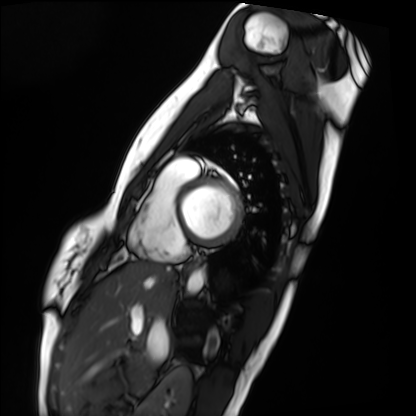
modality: cardiac MRI, subject group: healthy volunteer.